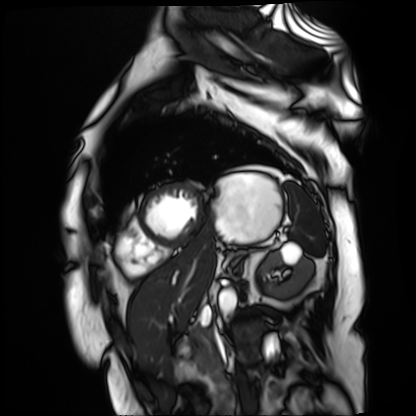
{
  "modality": "cardiac MR image of the myocardium",
  "cohort": "cardiac patient"
}